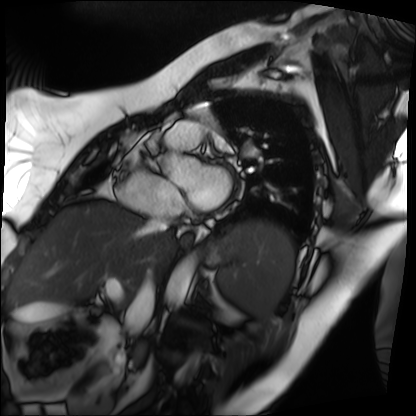
Clinical context:
Cardiac MRI. Subject group: patient.